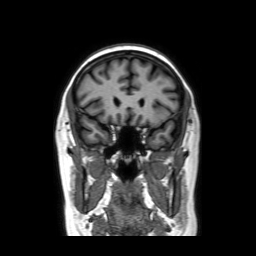
modality — 3 Tesla brain MRI; series — coronal without contrast; study — ring-enhancing brain masses.